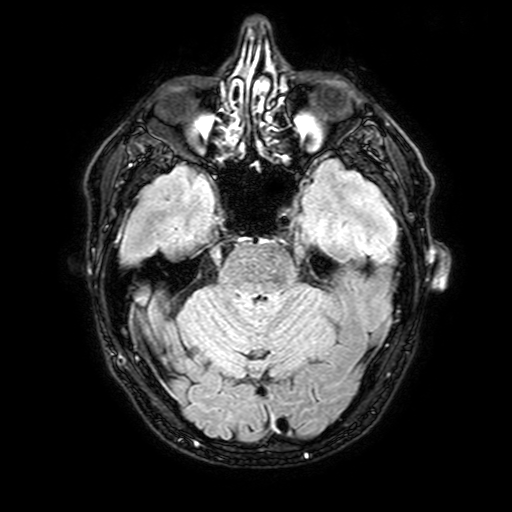
3 Tesla brain MRI. Series: FLAIR with SPAIR, 3 mm. Study: ring-enhancing brain masses.